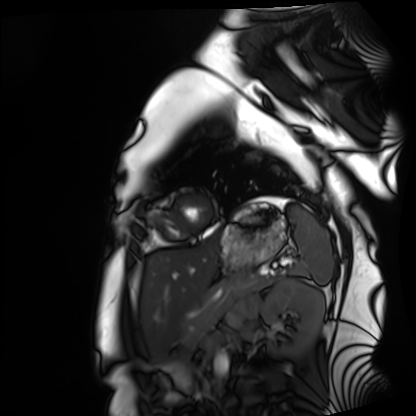
{
  "modality": "cardiac MRI",
  "cohort": "healthy volunteer"
}